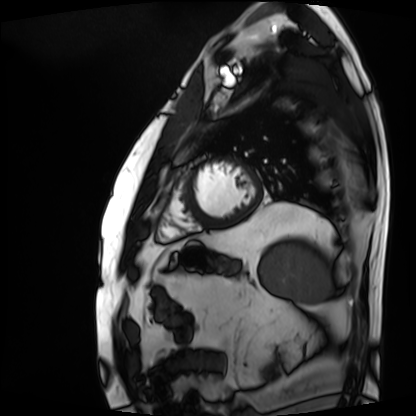
Cardiac MRI.
Subject group: patient.